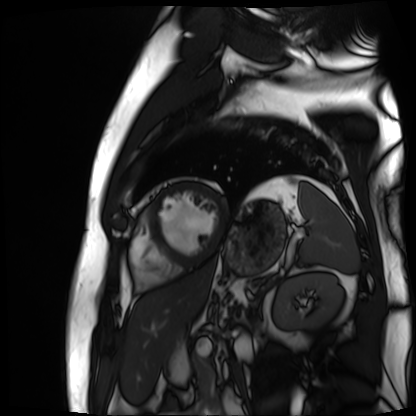
– modality: cardiac MR image of the myocardium
– subject cohort: cardiac patient